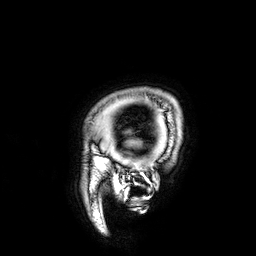
3 Tesla brain MRI.
Series: 3D T1-weighted.
Study: ring-enhancing brain masses.